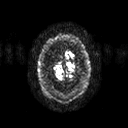
<study>
<modality>
  <type>brain MRI</type>
  <field_strength>3T</field_strength>
</modality>
<series>diffusion tensor imaging (medium iso)</series>
<study_topic>ring-enhancing brain masses</study_topic>
</study>